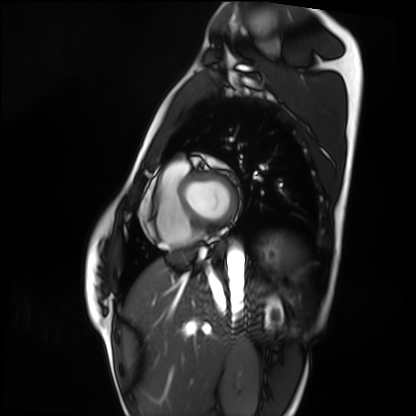
Cardiac MRI. Subject group: healthy volunteer.